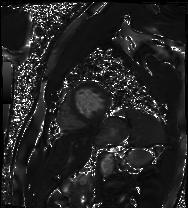
Q: What kind of scan is this?
A: Cardiac MRI.
Subject group: patient.